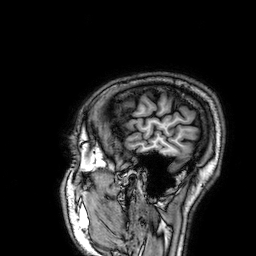
modality: 3 Tesla brain MRI | series: 3D T1-weighted | study: ring-enhancing brain masses.